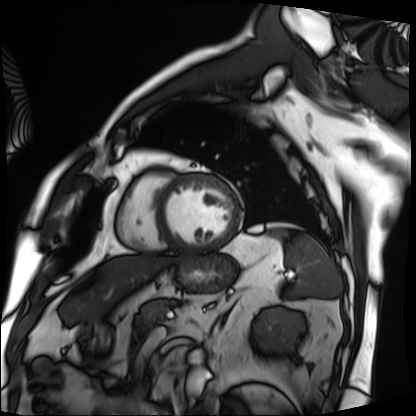
modality = cardiac MRI
subject group = patient